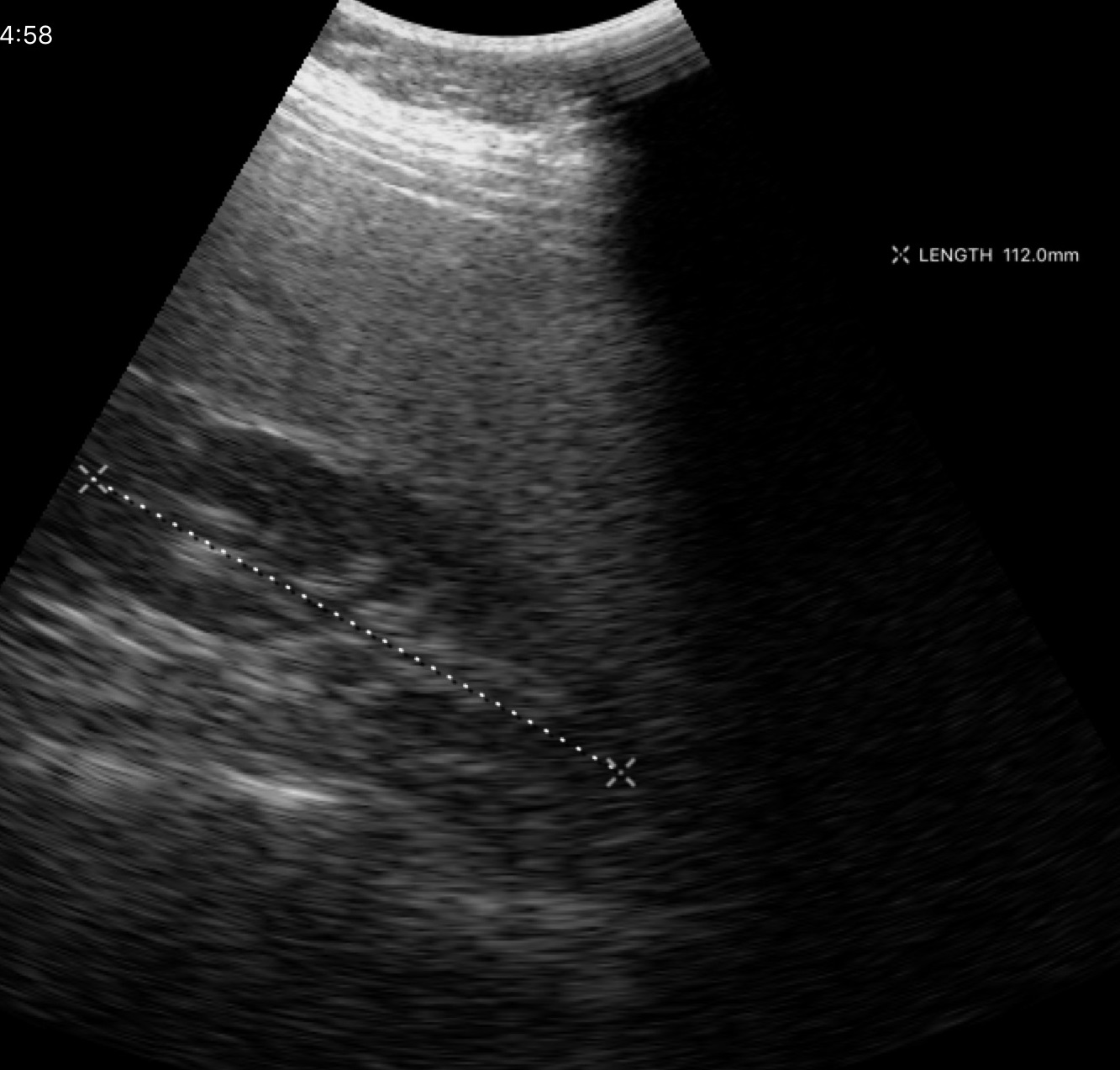
Genitourinary ultrasound.